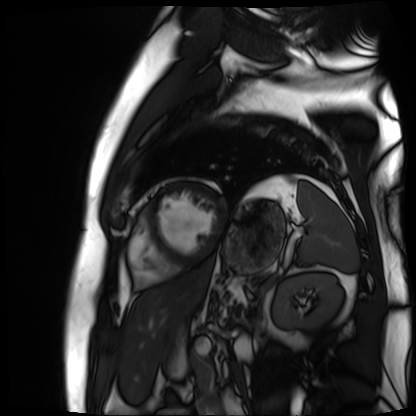
Cardiac MR image of the myocardium.
Subject cohort: cardiac patient.